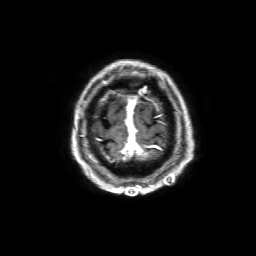
Clinical context: 3 Tesla brain MRI. Series: 3D T1-weighted with SENSE. Study: ring-enhancing brain masses.